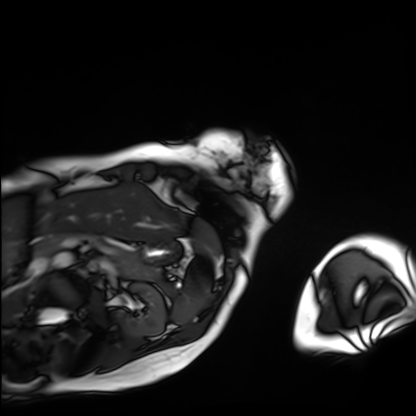
modality: cardiac MRI
cohort: patient